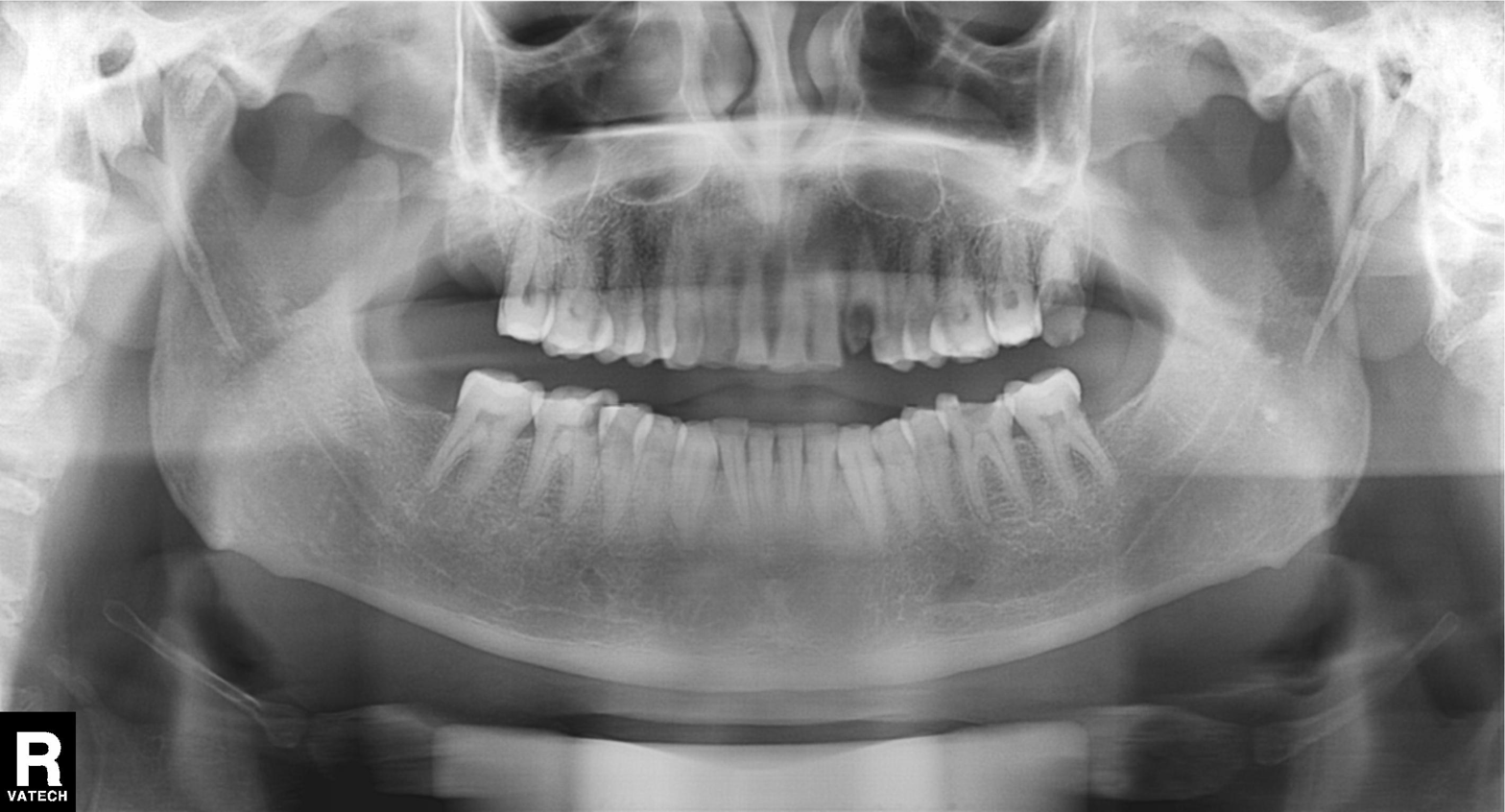
Panoramic dental radiograph (orthopantomogram). Finding: alveolar bone loss.